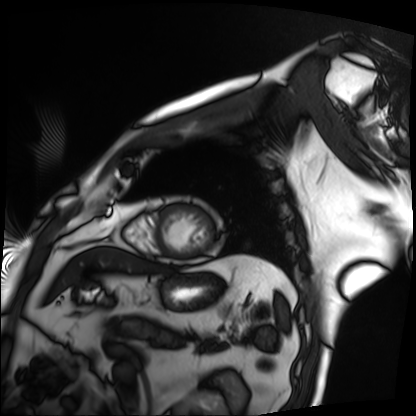
modality: cardiac MRI, subject group: patient.